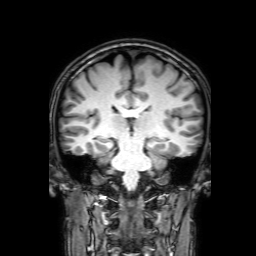
Case:
* modality · 3 Tesla brain MRI
* series · 3D T1-weighted with SENSE
* study · ring-enhancing brain masses